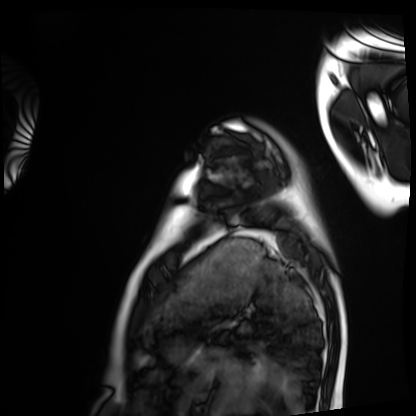
| field | value |
|---|---|
| modality | cardiac MRI |
| subject group | healthy volunteer |